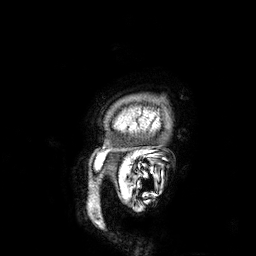
modality = 3 Tesla brain MRI | series = 3D T1-weighted | study = ring-enhancing brain masses.